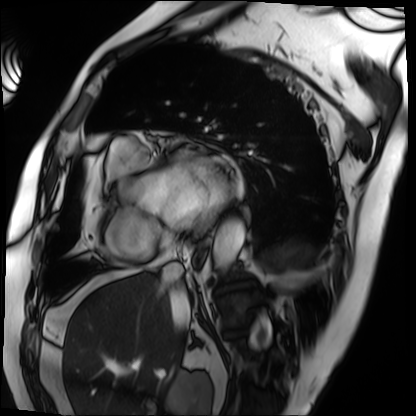
{
  "modality": "cardiac MRI",
  "cohort": "patient"
}